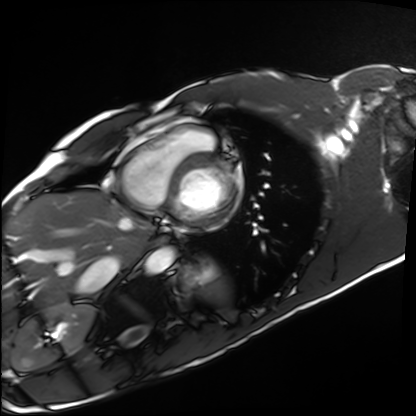
| field | value |
|---|---|
| modality | cardiac MRI |
| subject group | healthy volunteer |